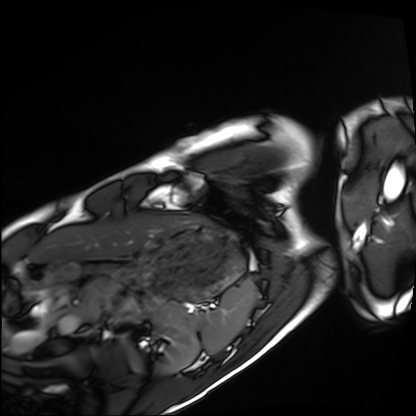
Cardiac MRI.
Subject group: healthy volunteer.